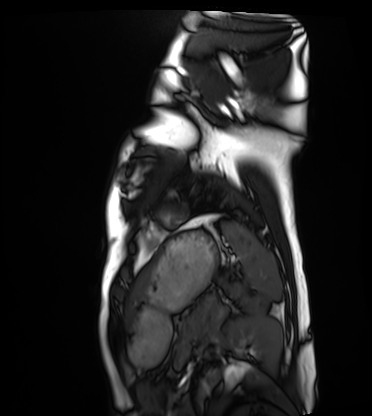
Cardiac MRI.
Subject group: healthy volunteer.